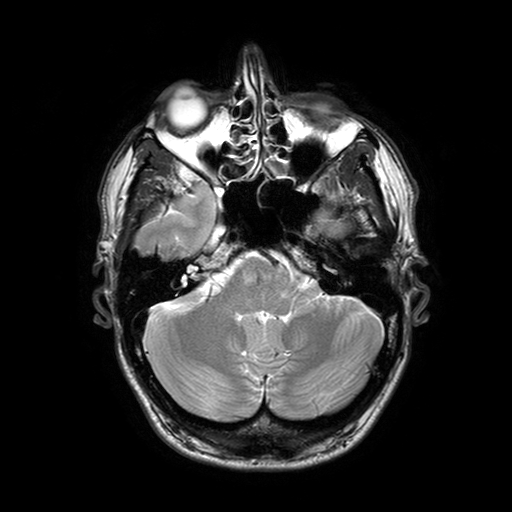
modality = 3 Tesla brain MRI; series = T2-weighted turbo spin echo with SENSE; study = ring-enhancing brain masses.